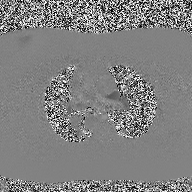
Summary: 2D phase-contrast cine MRI of the ascending aorta, high-resolution GRAPPA acquisition.